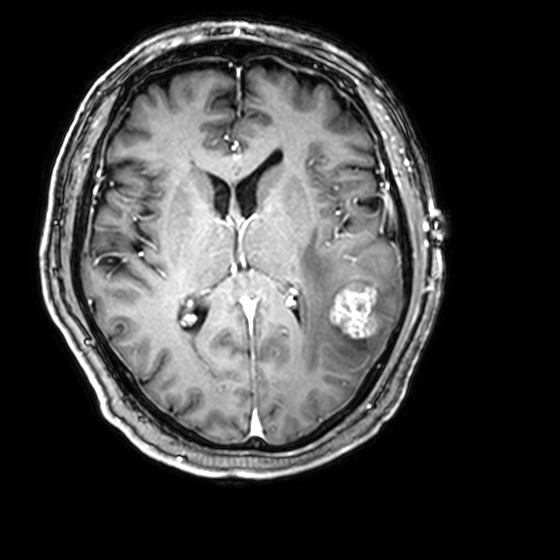
3 Tesla brain MRI.
Series: 3D T1-weighted with CLEAR.
Study: ring-enhancing brain masses.